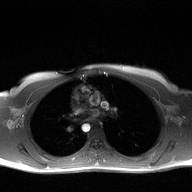
Summary:
2D phase-contrast cine MRI of the ascending aorta, high-resolution GRAPPA acquisition.